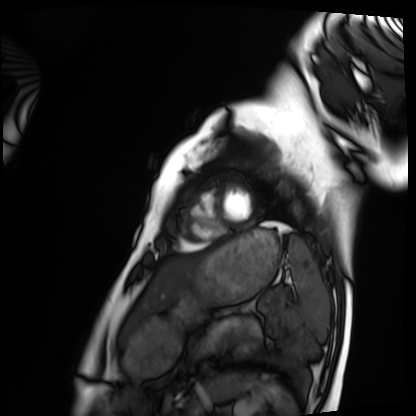
Clinical context: Cardiac MRI. Subject group: healthy volunteer.